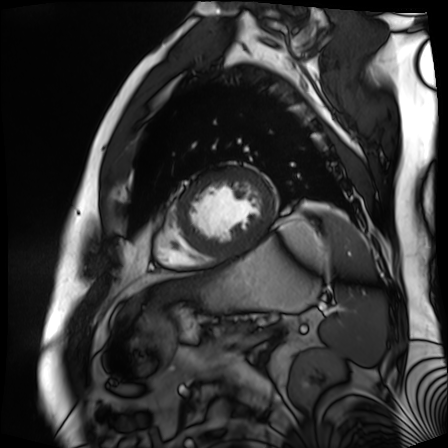
{
  "modality": "cardiac MR image of the myocardium",
  "cohort": "cardiac patient"
}